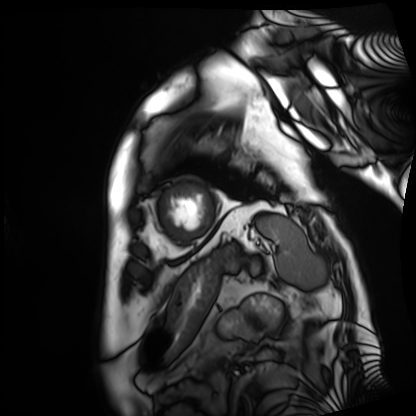
Cardiac MRI. Subject group: patient.